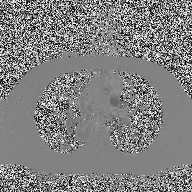
modality: 2D phase-contrast cine MRI of the ascending aorta.